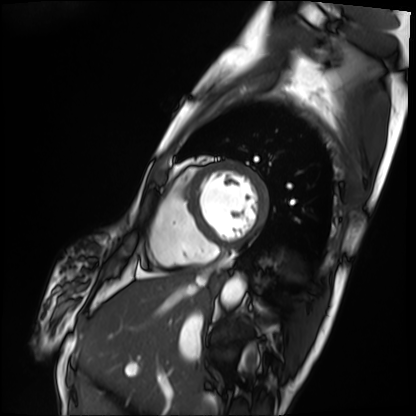
modality = cardiac MRI; subject group = patient.